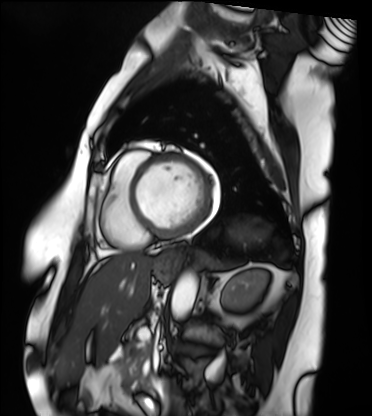
Cardiac MRI.
Subject group: patient.